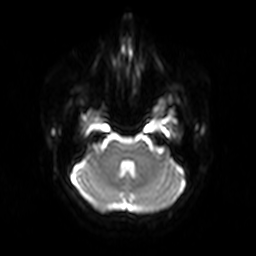
3 Tesla brain MRI.
Study: ring-enhancing brain masses.